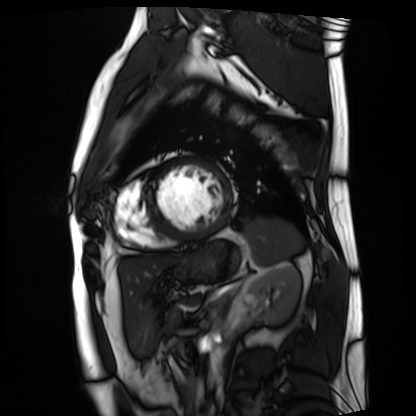
Cardiac MRI. Subject group: patient.